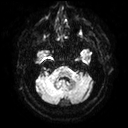
  modality:
    type: brain MRI
    field_strength: 3T
  series: diffusion tensor imaging (medium iso)
  study_topic: ring-enhancing brain masses